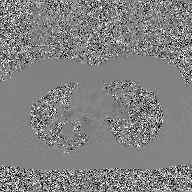
2D phase-contrast cine MRI of the ascending aorta, GAN super-resolution reconstruction.